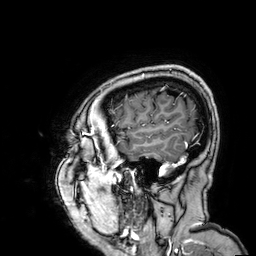
modality=3 Tesla brain MRI
series=3D T1-weighted
study=ring-enhancing brain masses